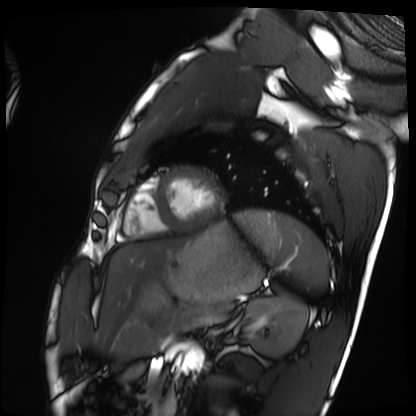
Cardiac MRI. Subject group: healthy volunteer.